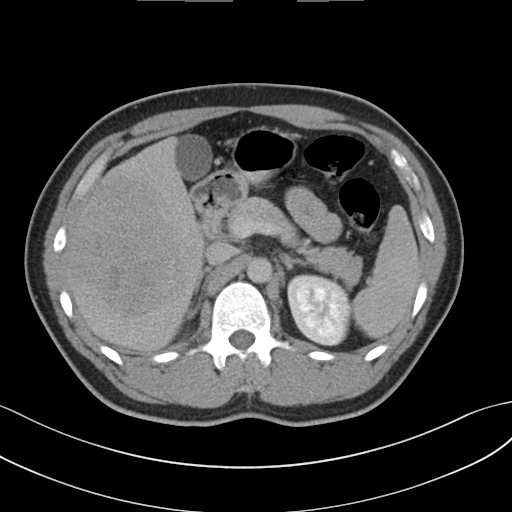
modality = multiphase abdominal CT, liver, delayed phase | patient = male, age 32 | history = viral hepatitis, prior chemotherapy.